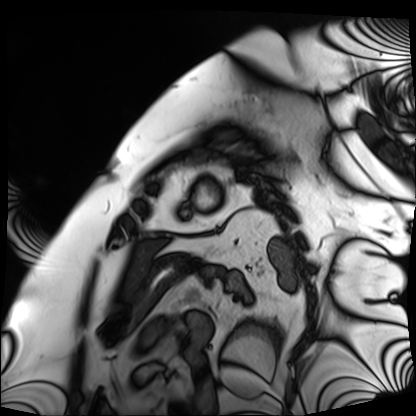
Cardiac MRI.
Subject group: patient.